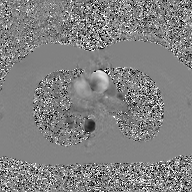
Summary:
2D phase-contrast cine MRI of the ascending aorta, GAN super-resolution reconstruction.